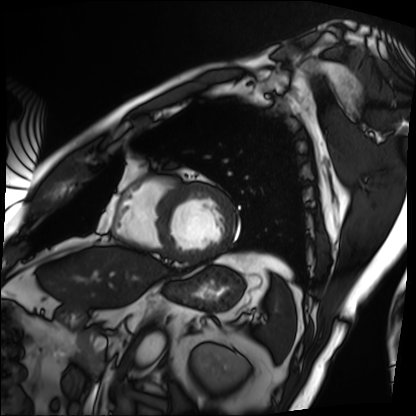
{"modality": "cardiac MRI", "cohort": "patient"}